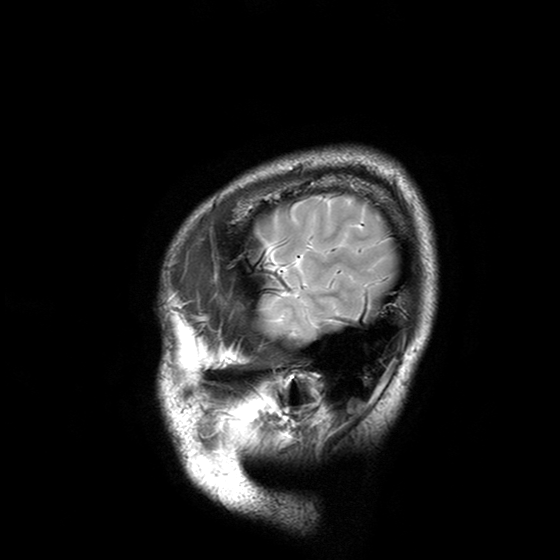
| field | value |
|---|---|
| modality | 3 Tesla brain MRI |
| series | T2-weighted turbo spin echo with SENSE |
| study | ring-enhancing brain masses |